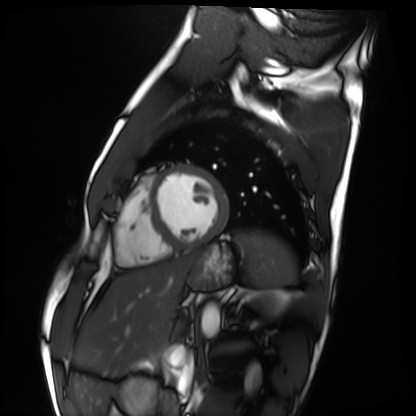
Case:
- modality: cardiac MRI
- subject group: healthy volunteer